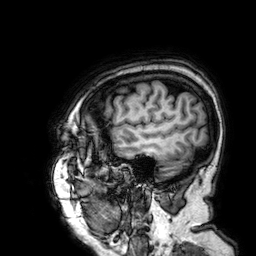
Clinical context:
3 Tesla brain MRI. Series: 3D T1-weighted. Study: ring-enhancing brain masses.